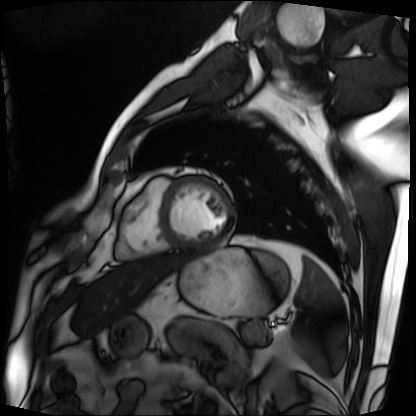
Cardiac MRI. Subject group: patient.